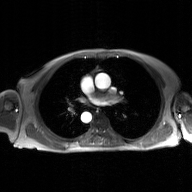
2D phase-contrast cine MRI of the ascending aorta, GAN super-resolution reconstruction.